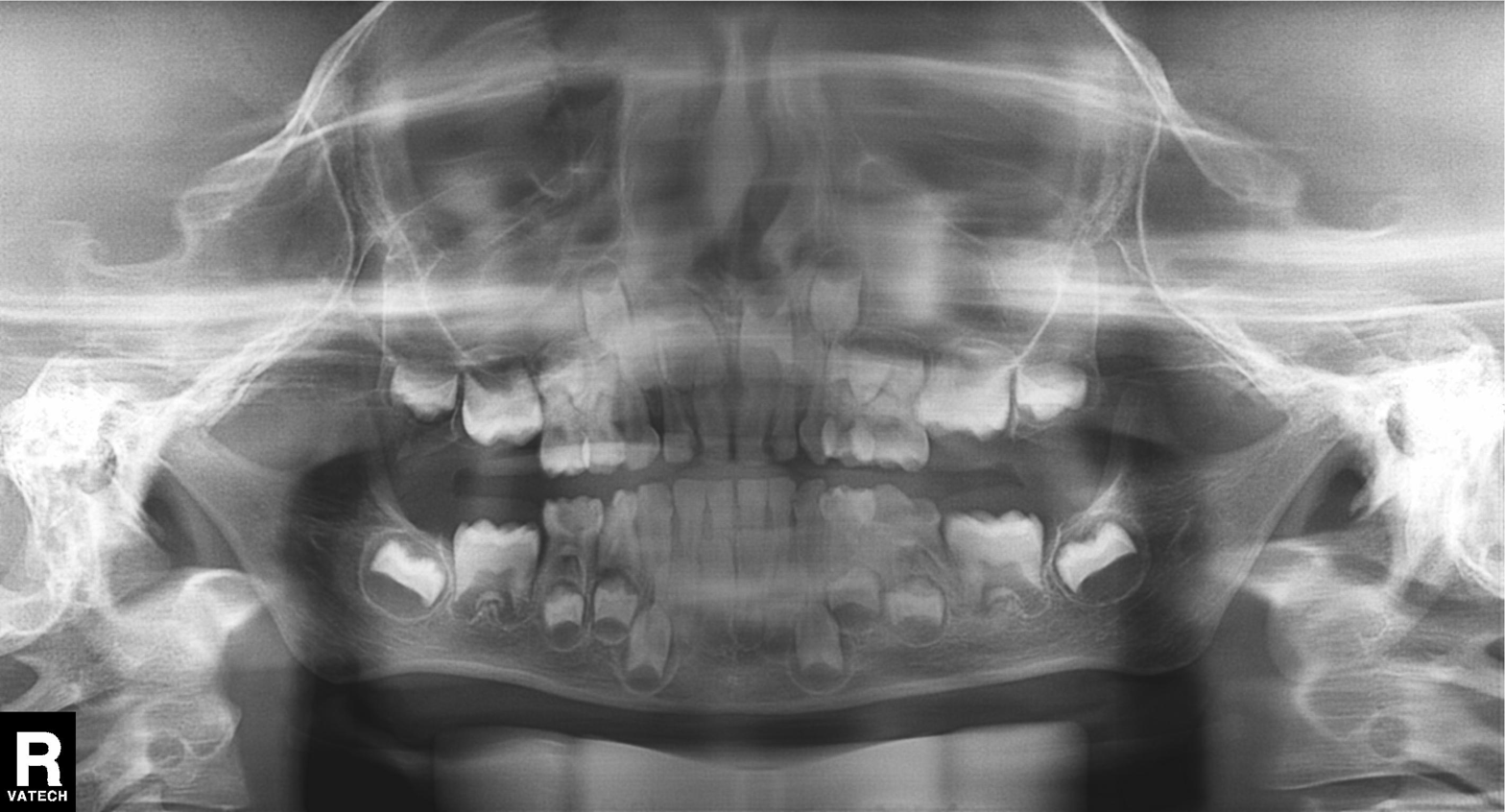
Panoramic dental radiograph (orthopantomogram). Finding: tooth impaction.